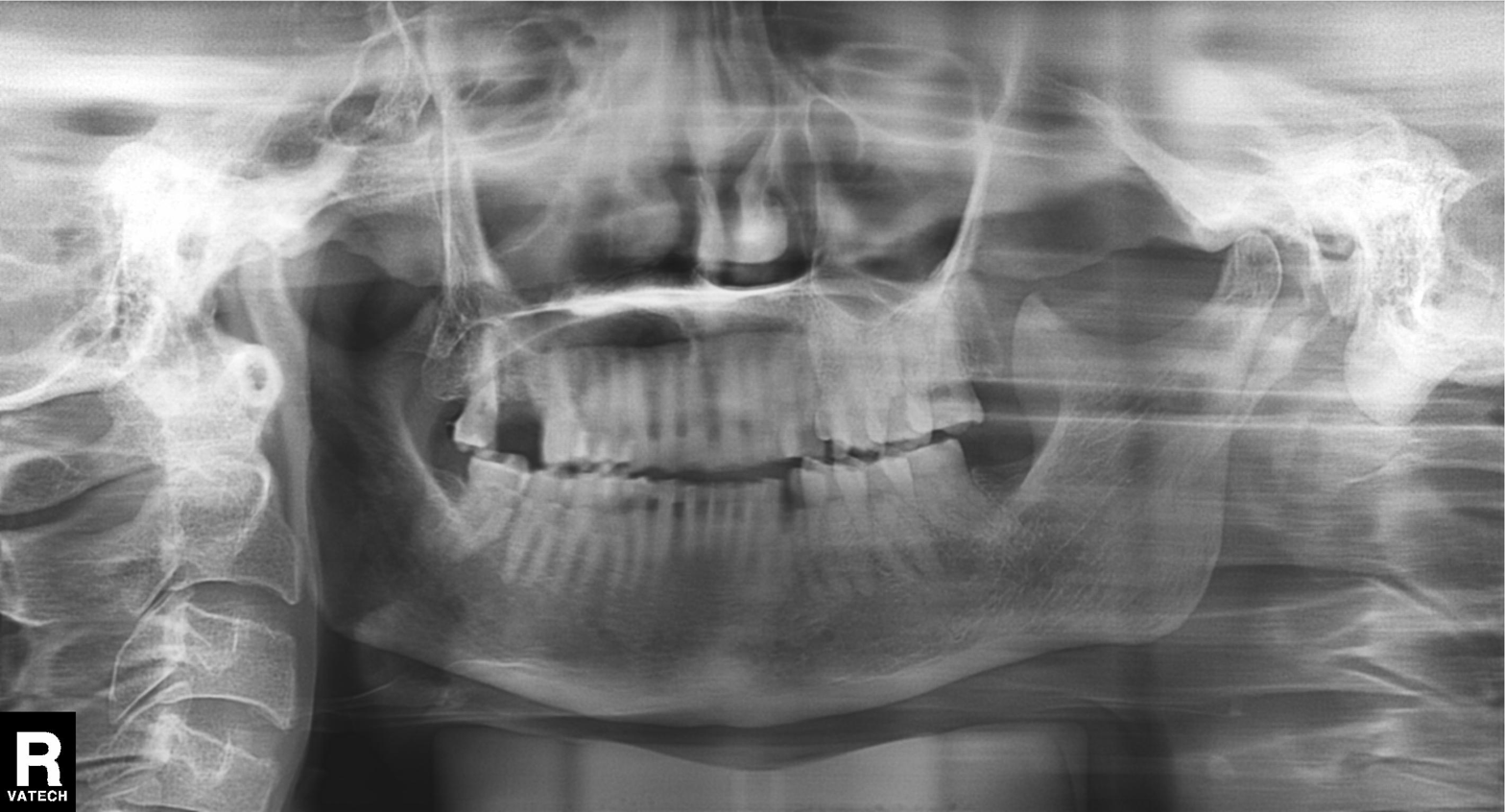
Panoramic dental radiograph (orthopantomogram). Finding: tooth impaction.